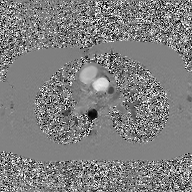
2D phase-contrast cine MRI of the ascending aorta, GAN super-resolution reconstruction.